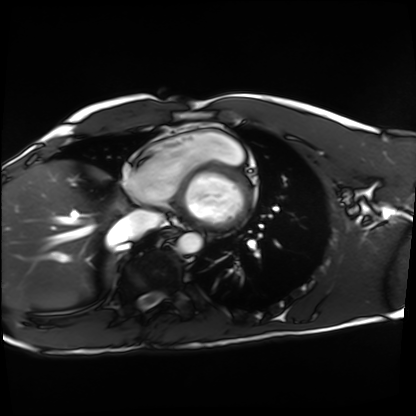
modality = cardiac MRI | subject group = healthy volunteer.